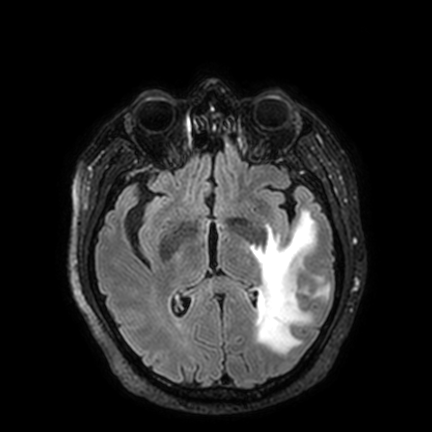
modality:
  type: brain MRI
  field_strength: 3T
series: FLAIR VISTA with SENSE
study_topic: ring-enhancing brain masses